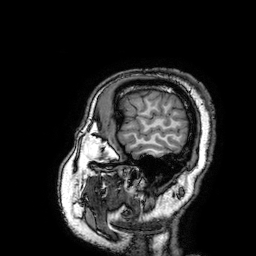
3 Tesla brain MRI. Series: 3D T1-weighted turbo field echo with SENSE. Study: ring-enhancing brain masses.